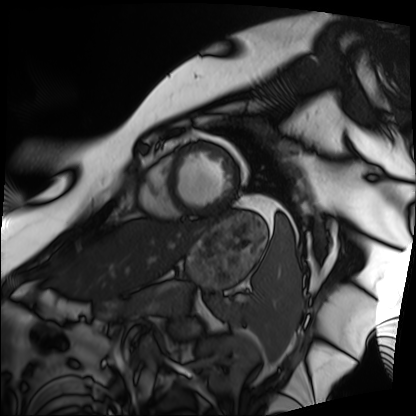
Q: What kind of scan is this?
A: Cardiac MRI.
Subject group: patient.